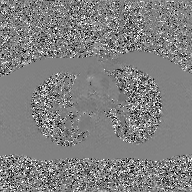
Case:
• modality — 2D phase-contrast cine MRI of the ascending aorta, GAN super-resolution reconstruction